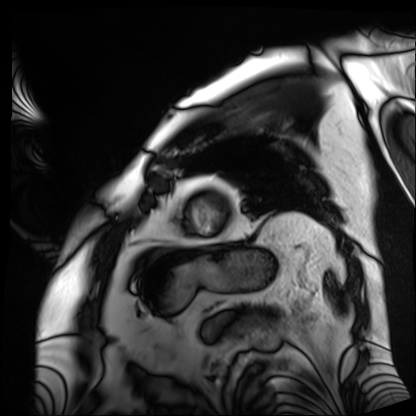
Clinical context: Cardiac MRI. Subject group: patient.